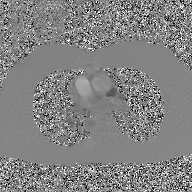
2D phase-contrast cine MRI of the ascending aorta, GAN super-resolution reconstruction.